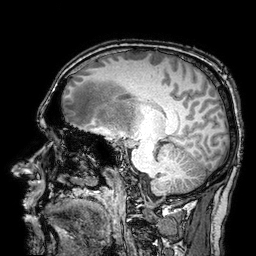
3 Tesla brain MRI. Series: 3D T1-weighted turbo field echo with SENSE. Study: ring-enhancing brain masses.